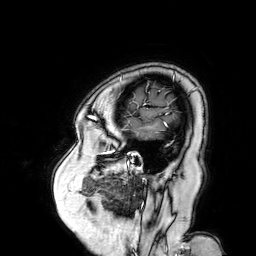
| field | value |
|---|---|
| modality | 3 Tesla brain MRI |
| series | 3D T1-weighted turbo field echo with SENSE |
| study | ring-enhancing brain masses |